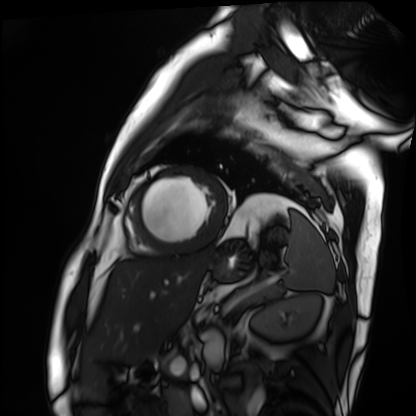
Cardiac MRI.
Subject group: patient.